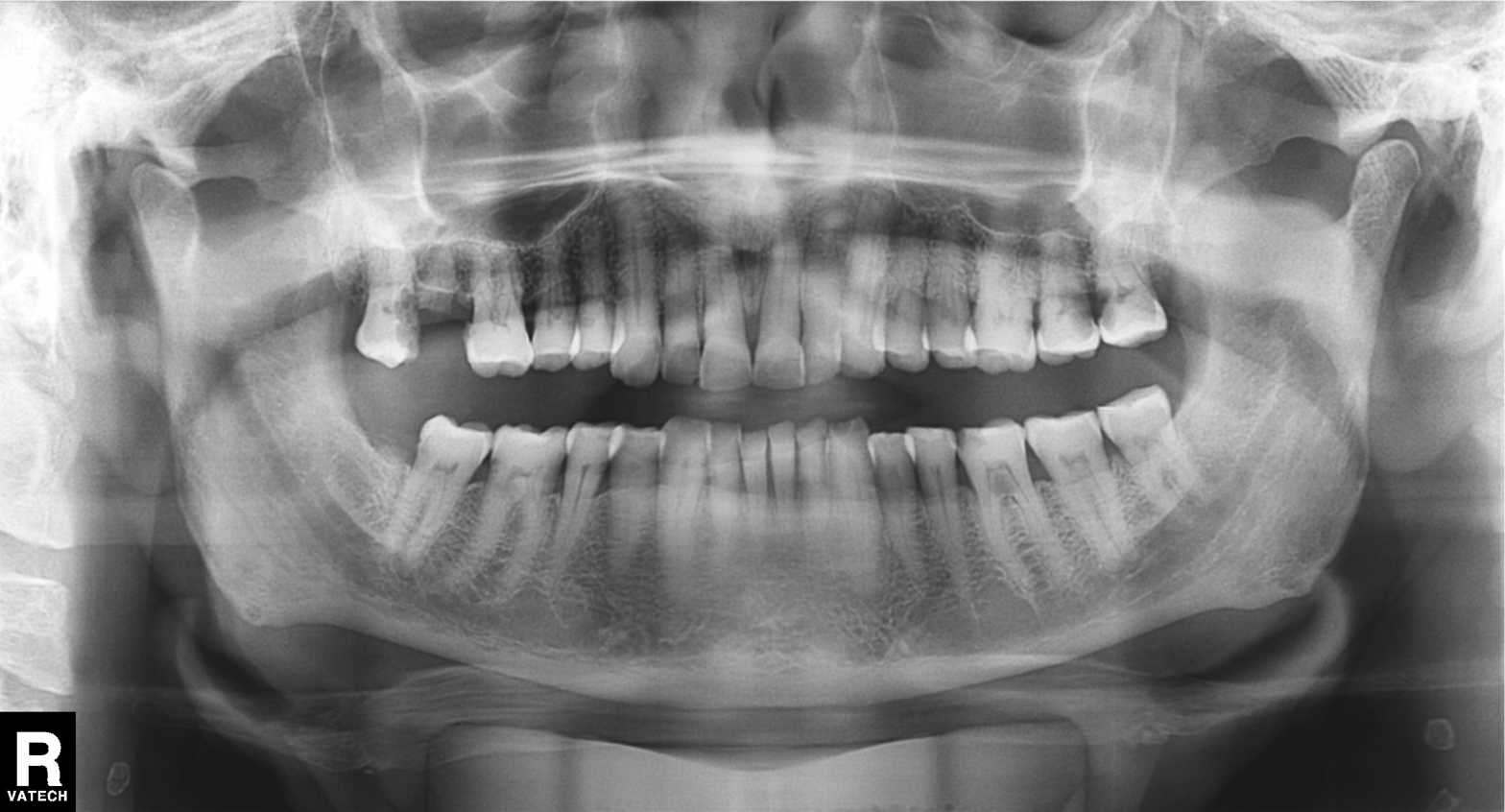
  modality: panoramic dental radiograph (orthopantomogram)
  finding: alveolar bone loss